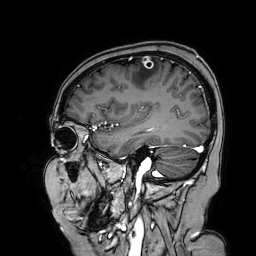
Summary: 3 Tesla brain MRI. Series: 3D T1-weighted turbo field echo with SENSE. Study: ring-enhancing brain masses.